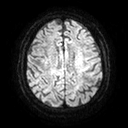
modality: 3 Tesla brain MRI
series: diffusion tensor imaging (medium iso)
study: ring-enhancing brain masses